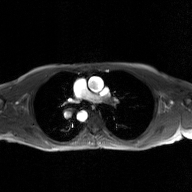
Case summary: 2D phase-contrast cine MRI of the ascending aorta, GAN super-resolution reconstruction.